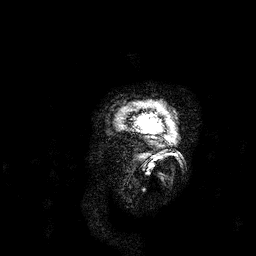
3 Tesla brain MRI. Series: 3D T1-weighted. Study: ring-enhancing brain masses.